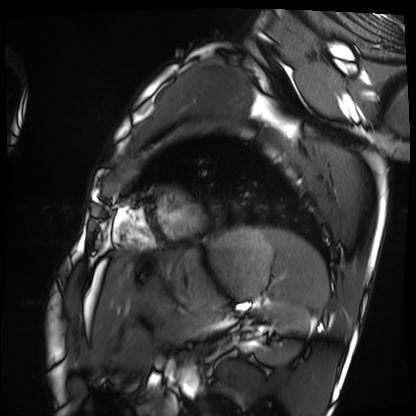
Cardiac MRI. Subject group: healthy volunteer.